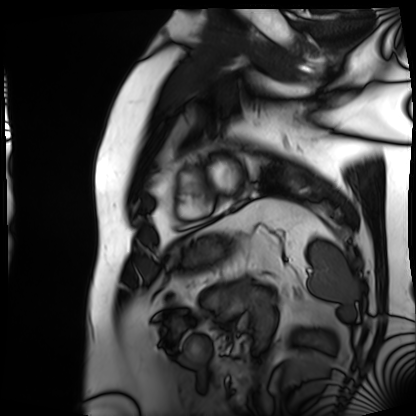
Cardiac MRI. Subject group: patient.